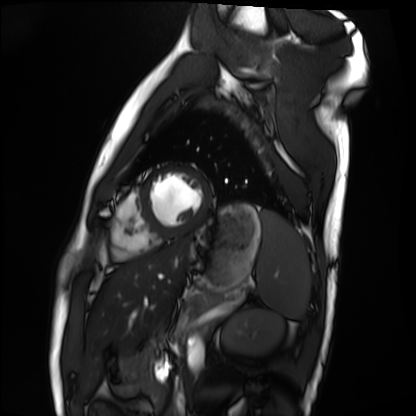
modality: cardiac MRI; subject group: healthy volunteer.